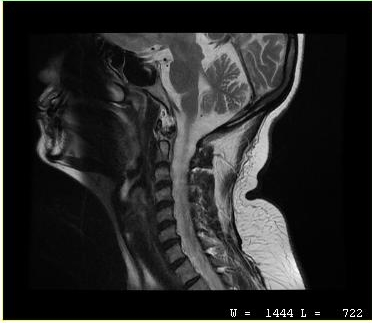
Case summary: MRI of the cervical spine. Study: cervical spondylosis.